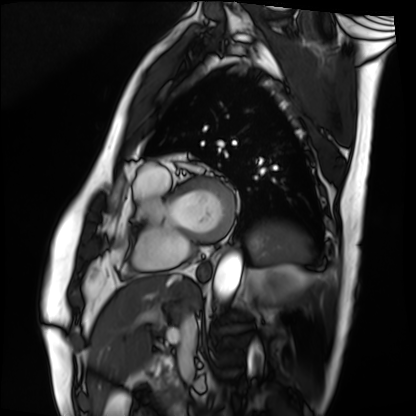
  modality: cardiac MRI
  cohort: patient